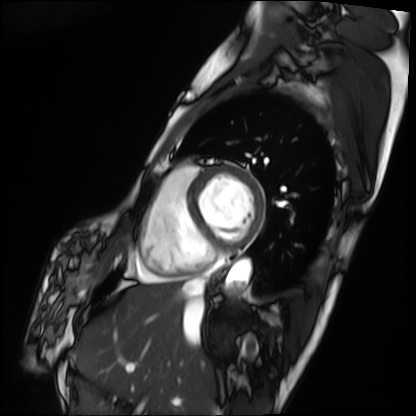
Summary:
Cardiac MRI. Subject group: patient.